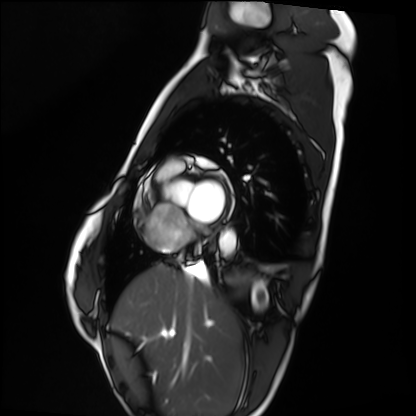
Cardiac MRI.
Subject group: healthy volunteer.